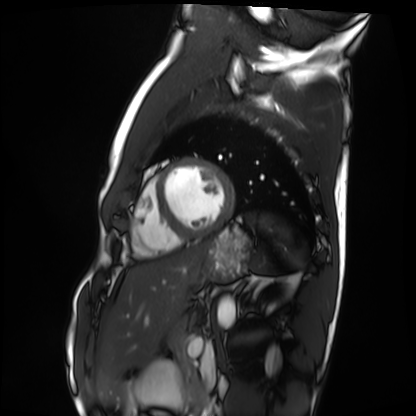
{"modality": "cardiac MRI", "cohort": "healthy volunteer"}